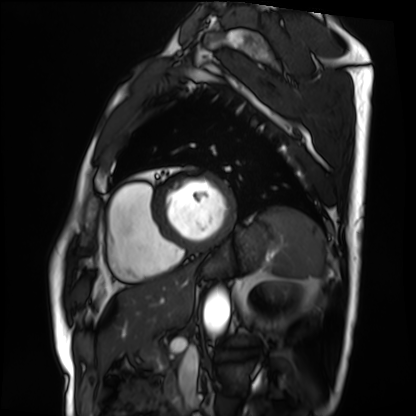
Cardiac MRI. Subject group: patient.